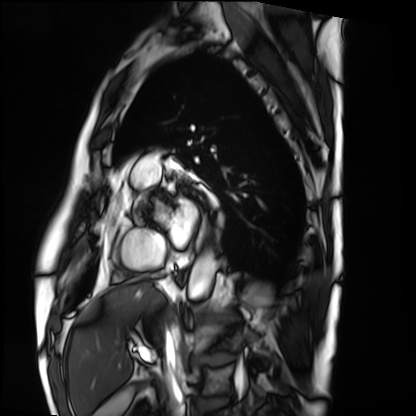
Case summary: Cardiac MRI. Subject group: patient.